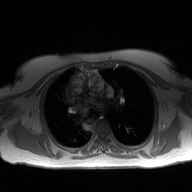
modality = 2D phase-contrast cine MRI of the ascending aorta